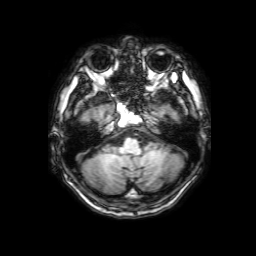
Case summary:
3 Tesla brain MRI. Series: 3D T1-weighted with SENSE. Study: ring-enhancing brain masses.